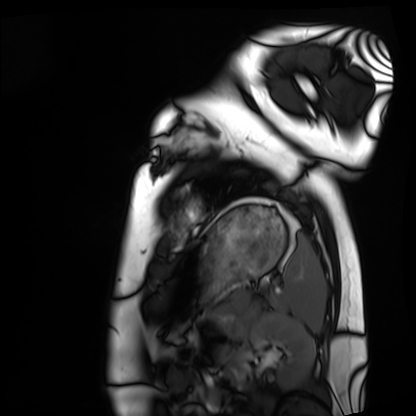
Case:
* modality: cardiac MRI
* subject group: healthy volunteer